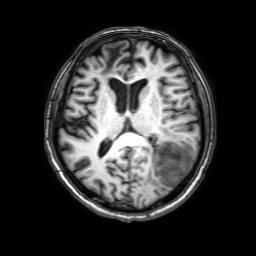
Summary:
3 Tesla brain MRI. Series: 3D T1-weighted with SENSE. Study: ring-enhancing brain masses.